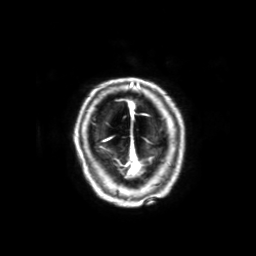
Case:
* modality · 3 Tesla brain MRI
* series · 3D T1-weighted with SENSE
* study · ring-enhancing brain masses